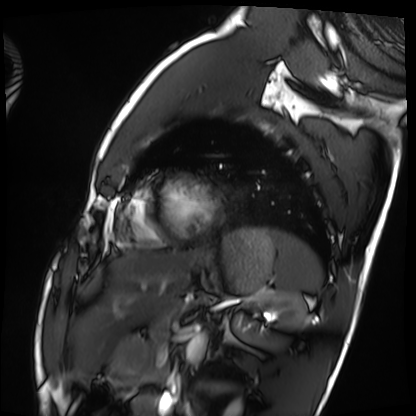
Cardiac MRI.
Subject group: healthy volunteer.